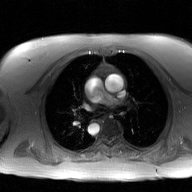
Case summary: 2D phase-contrast cine MRI of the ascending aorta, GAN super-resolution reconstruction.